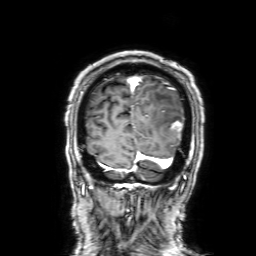
– modality: 3 Tesla brain MRI
– series: 3D T1-weighted with SENSE
– study: ring-enhancing brain masses